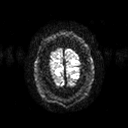
  modality:
    type: brain MRI
    field_strength: 3T
  series: diffusion tensor imaging (medium iso)
  study_topic: ring-enhancing brain masses